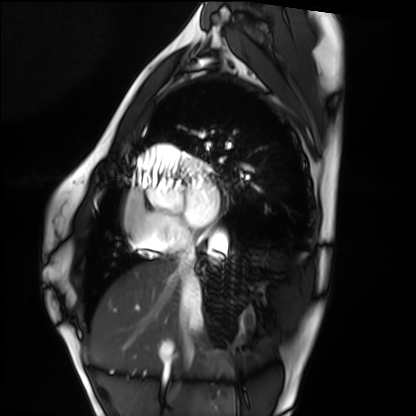
modality: cardiac MRI
cohort: healthy volunteer